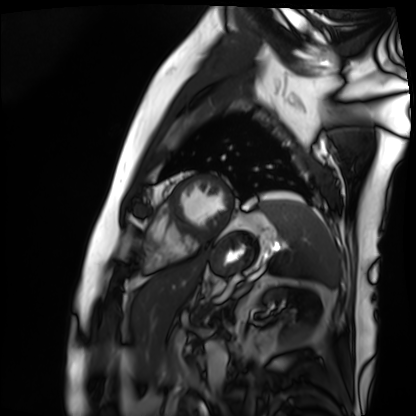
| field | value |
|---|---|
| modality | cardiac MRI |
| subject group | patient |